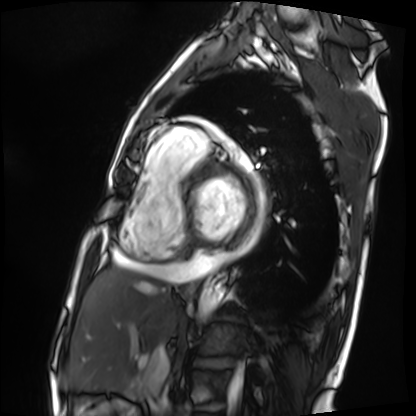
Summary: Cardiac MRI. Subject group: patient.